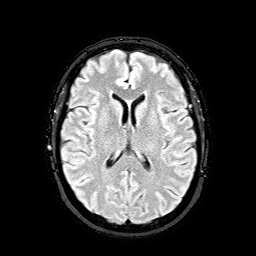
Case:
* modality · 3 Tesla brain MRI
* series · FLAIR with SPAIR
* study · ring-enhancing brain masses